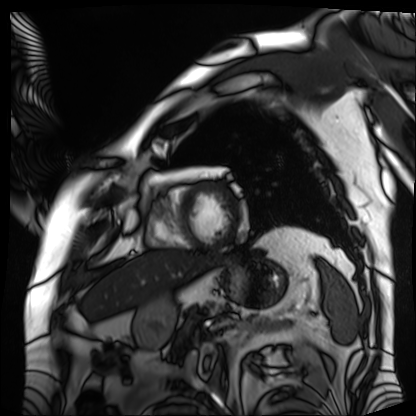
Q: What kind of scan is this?
A: Cardiac MRI.
Subject group: patient.